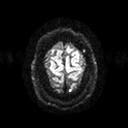
3 Tesla brain MRI.
Series: diffusion tensor imaging (medium iso).
Study: ring-enhancing brain masses.